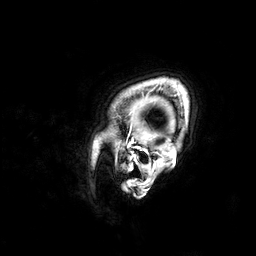
3 Tesla brain MRI.
Series: 3D T1-weighted.
Study: ring-enhancing brain masses.